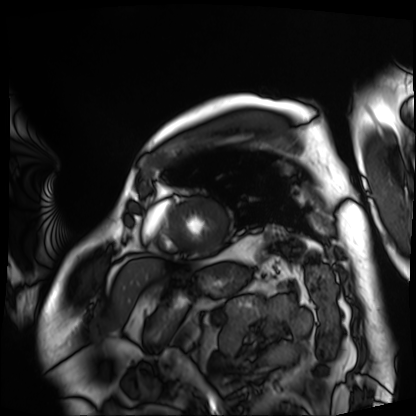
Cardiac MRI. Subject group: patient.